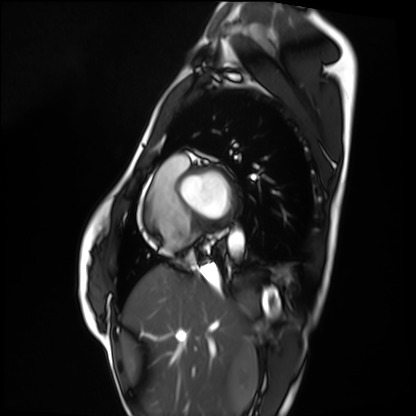
Cardiac MRI. Subject group: healthy volunteer.